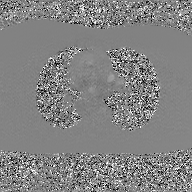
<study>
<modality>
  <type>2D phase-contrast cine MRI</type>
  <region>ascending aorta</region>
  <reconstruction>GAN super-resolution reconstruction</reconstruction>
</modality>
</study>